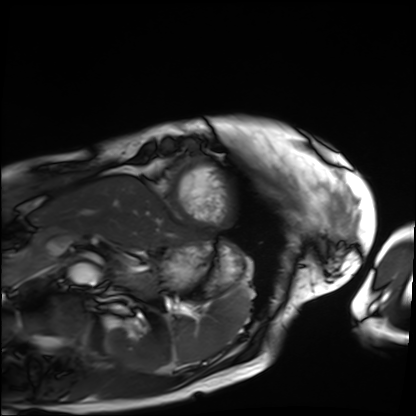
modality: cardiac MRI | subject group: patient.